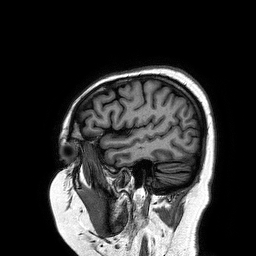
Clinical context:
3 Tesla brain MRI. Series: 3D T1-weighted turbo field echo. Study: ring-enhancing brain masses.